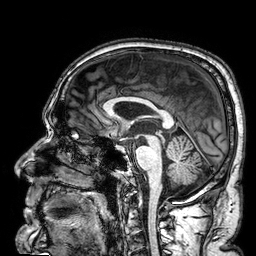
3 Tesla brain MRI.
Series: 3D T1-weighted.
Study: ring-enhancing brain masses.